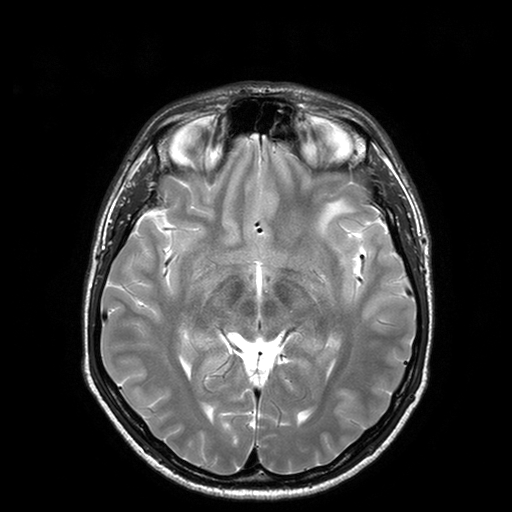
Q: What kind of scan is this?
A: 3 Tesla brain MRI.
Q: Series?
A: T2-weighted turbo spin echo with SENSE.
Study: ring-enhancing brain masses.